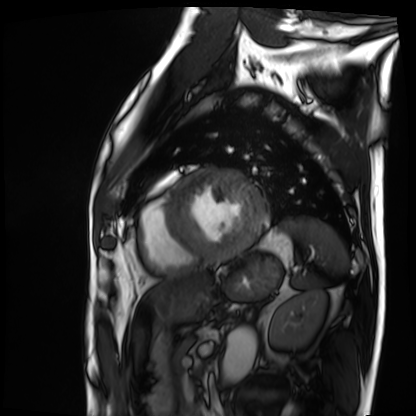
Case summary: Cardiac MRI. Subject group: patient.